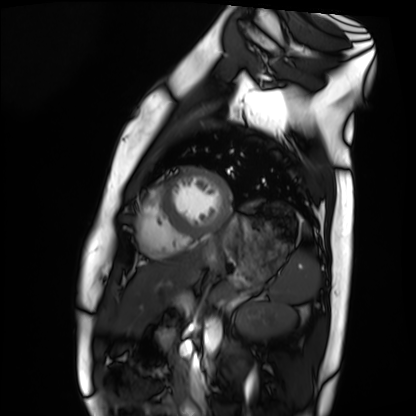
Cardiac MRI. Subject group: healthy volunteer.